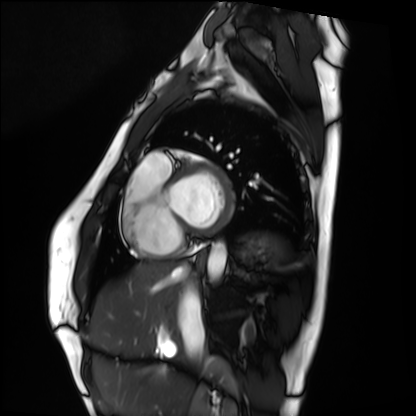
Q: What kind of scan is this?
A: Cardiac MRI.
Subject group: healthy volunteer.